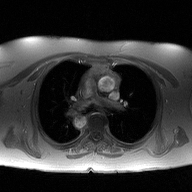
Q: What kind of scan is this?
A: 2D phase-contrast cine MRI of the ascending aorta.